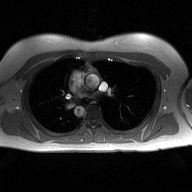
2D phase-contrast cine MRI of the ascending aorta, high-resolution GRAPPA acquisition.